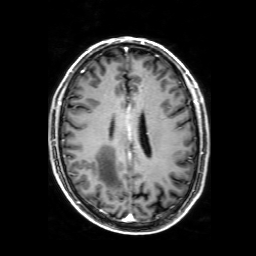
Q: What kind of scan is this?
A: 3 Tesla brain MRI.
Q: Series?
A: 3D T1-weighted with SENSE.
Study: ring-enhancing brain masses.